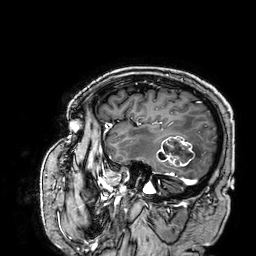
modality=3 Tesla brain MRI; series=3D T1-weighted; study=ring-enhancing brain masses.